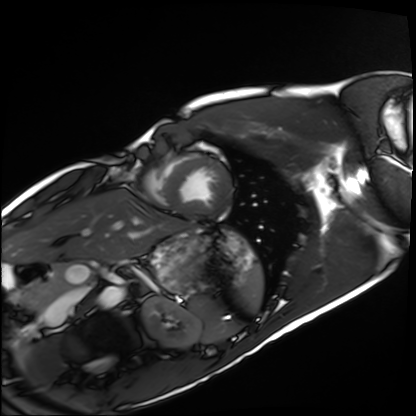
Case summary: Cardiac MRI. Subject group: healthy volunteer.